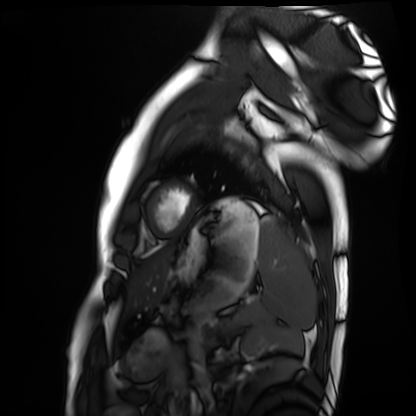
  modality: cardiac MRI
  cohort: healthy volunteer